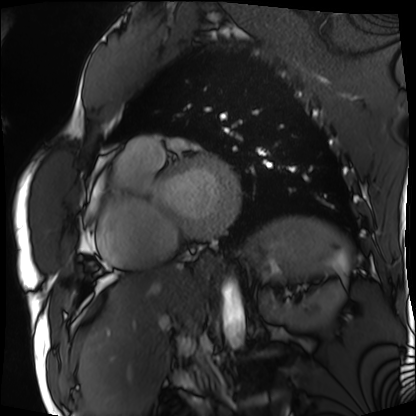
{"modality": "cardiac MRI", "cohort": "patient"}